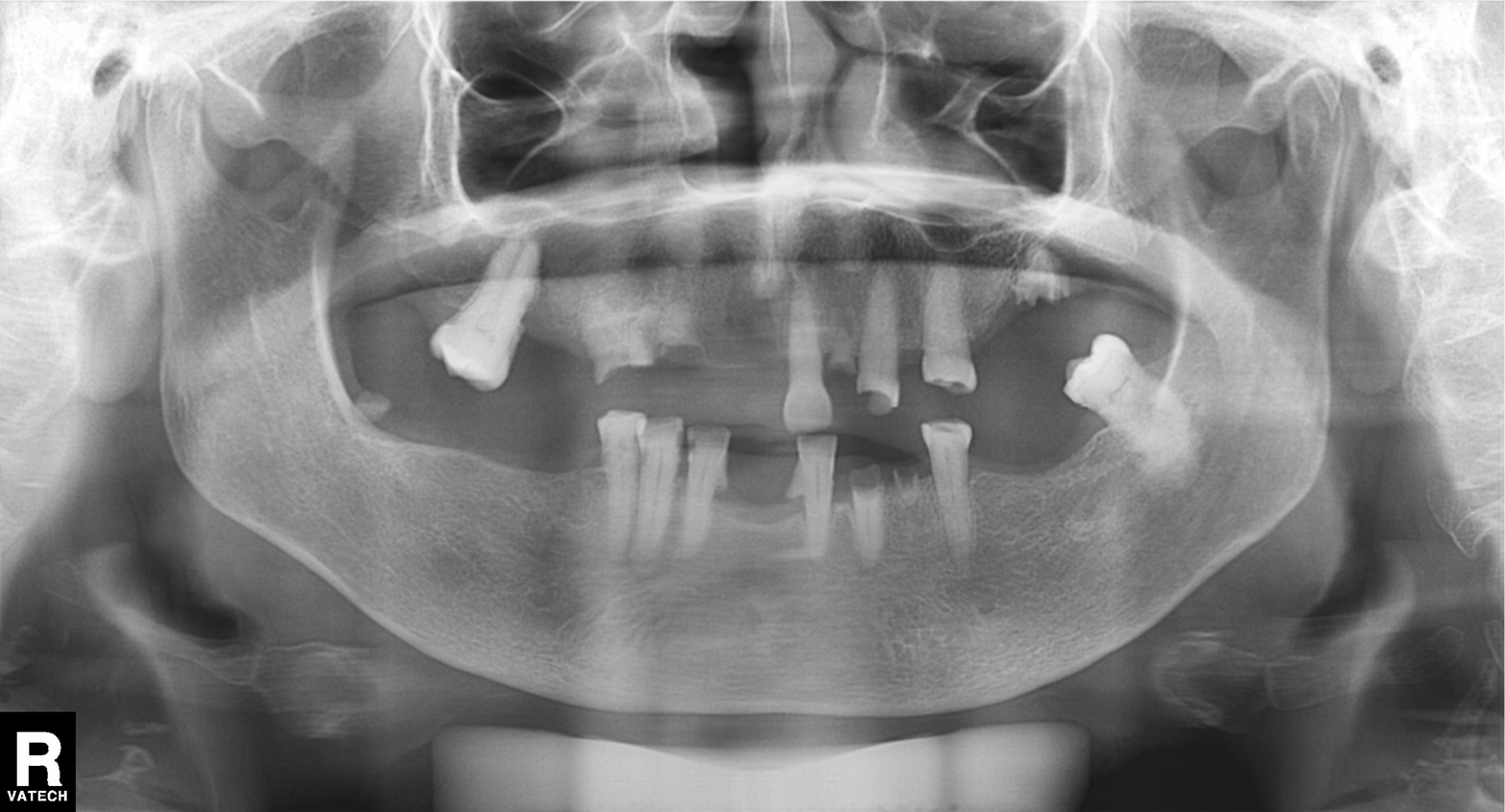
modality=panoramic dental radiograph (orthopantomogram); finding=alveolar bone loss.